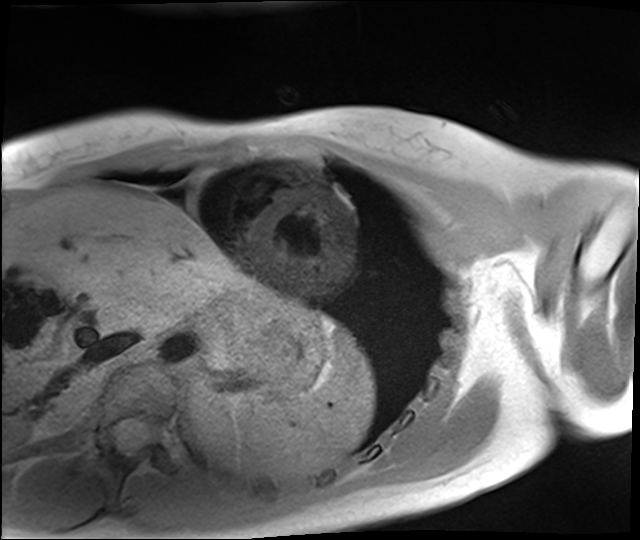
Cardiac MRI. Subject group: healthy volunteer.